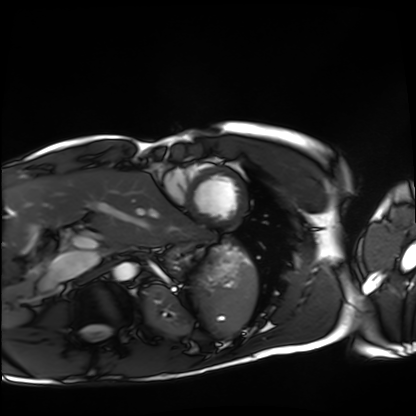
Summary:
Cardiac MRI. Subject group: healthy volunteer.